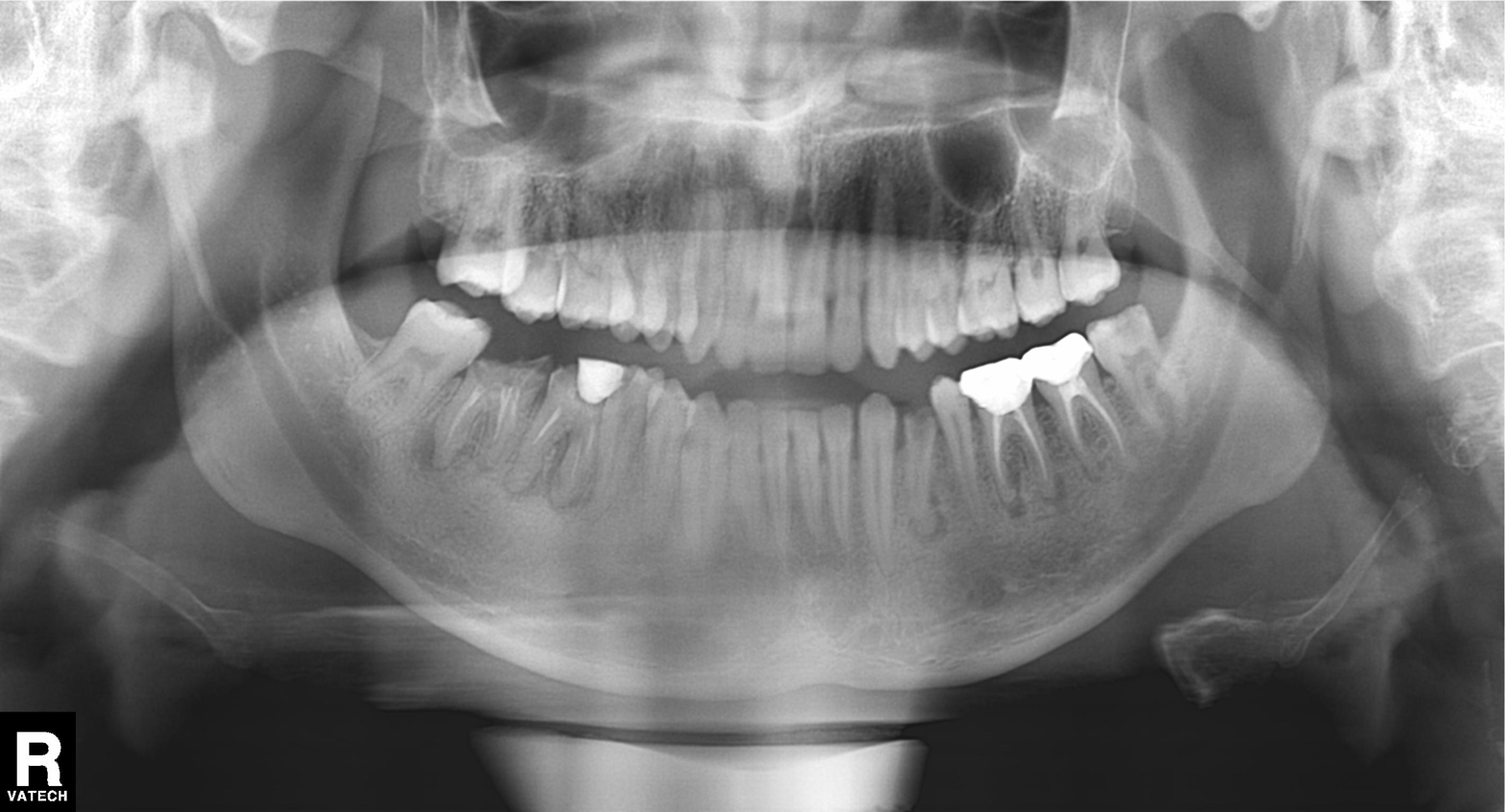
| field | value |
|---|---|
| modality | panoramic dental radiograph (orthopantomogram) |
| finding | tooth impaction |